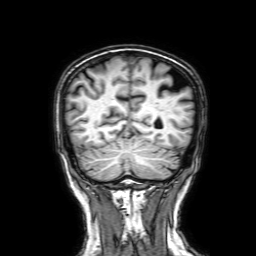
3 Tesla brain MRI. Series: 3D T1-weighted with SENSE. Study: ring-enhancing brain masses.